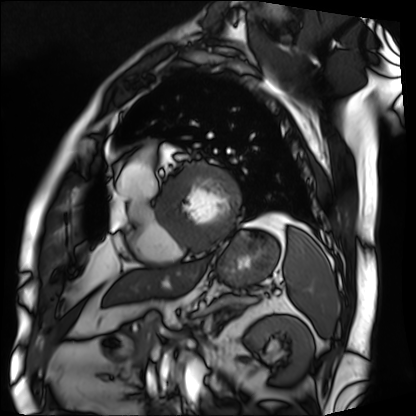
- modality · cardiac MRI
- subject group · patient